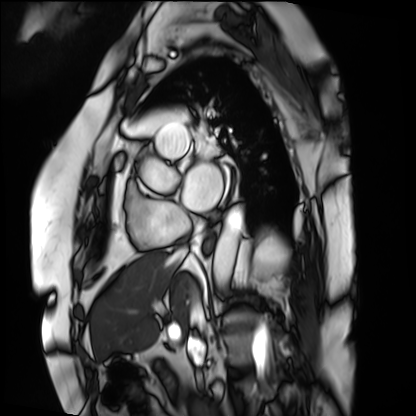
Cardiac MRI. Subject group: patient.